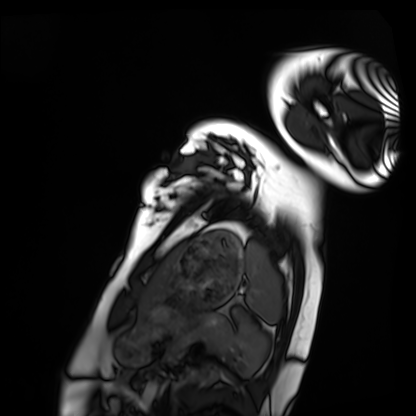
Cardiac MRI. Subject group: healthy volunteer.